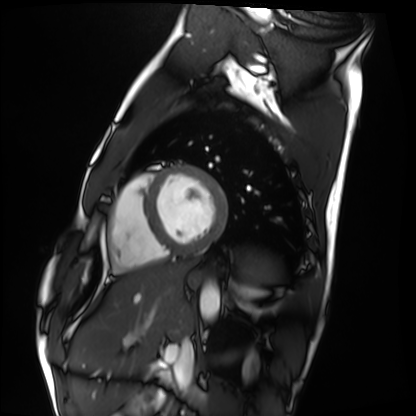
* modality: cardiac MRI
* subject group: healthy volunteer